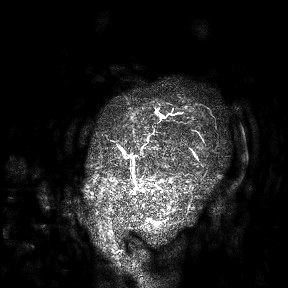
3 Tesla brain MRI.
Study: ring-enhancing brain masses.